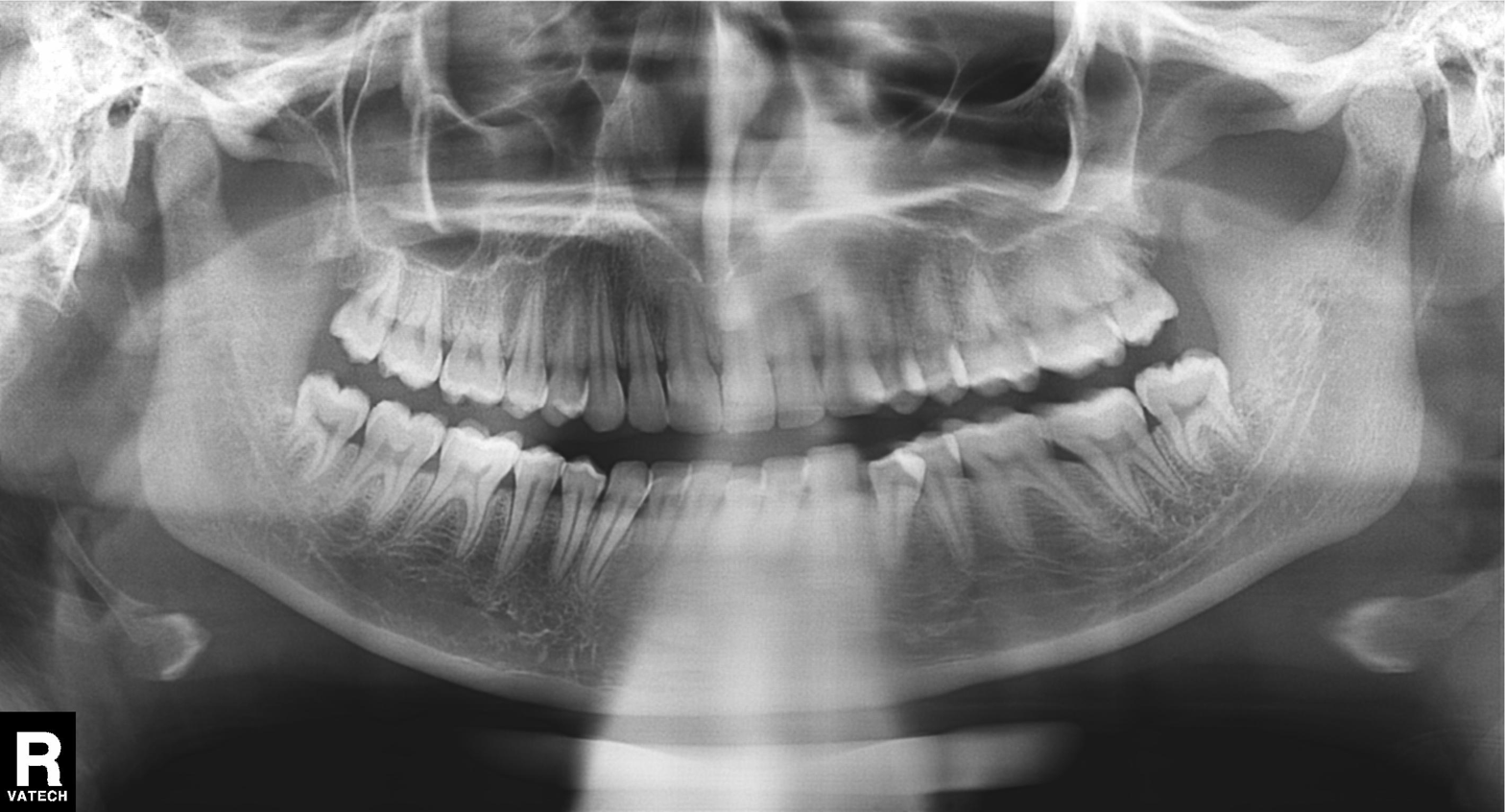
<scan>
  <modality>panoramic dental radiograph (orthopantomogram)</modality>
  <finding>alveolar bone loss</finding>
</scan>